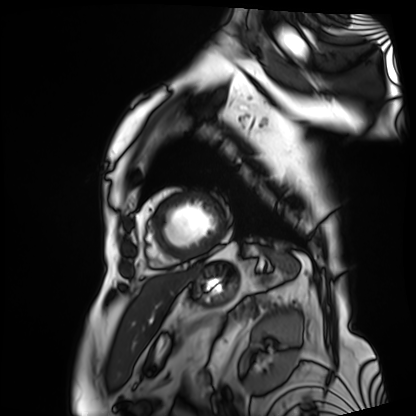
Cardiac MRI.
Subject group: patient.